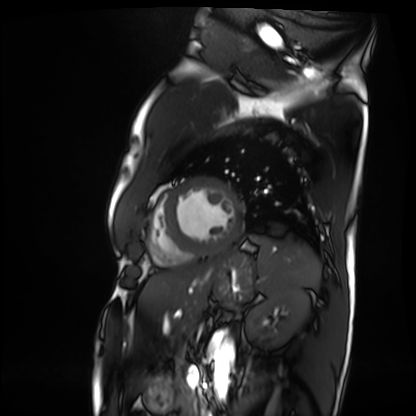
modality: cardiac MRI
subject group: patient